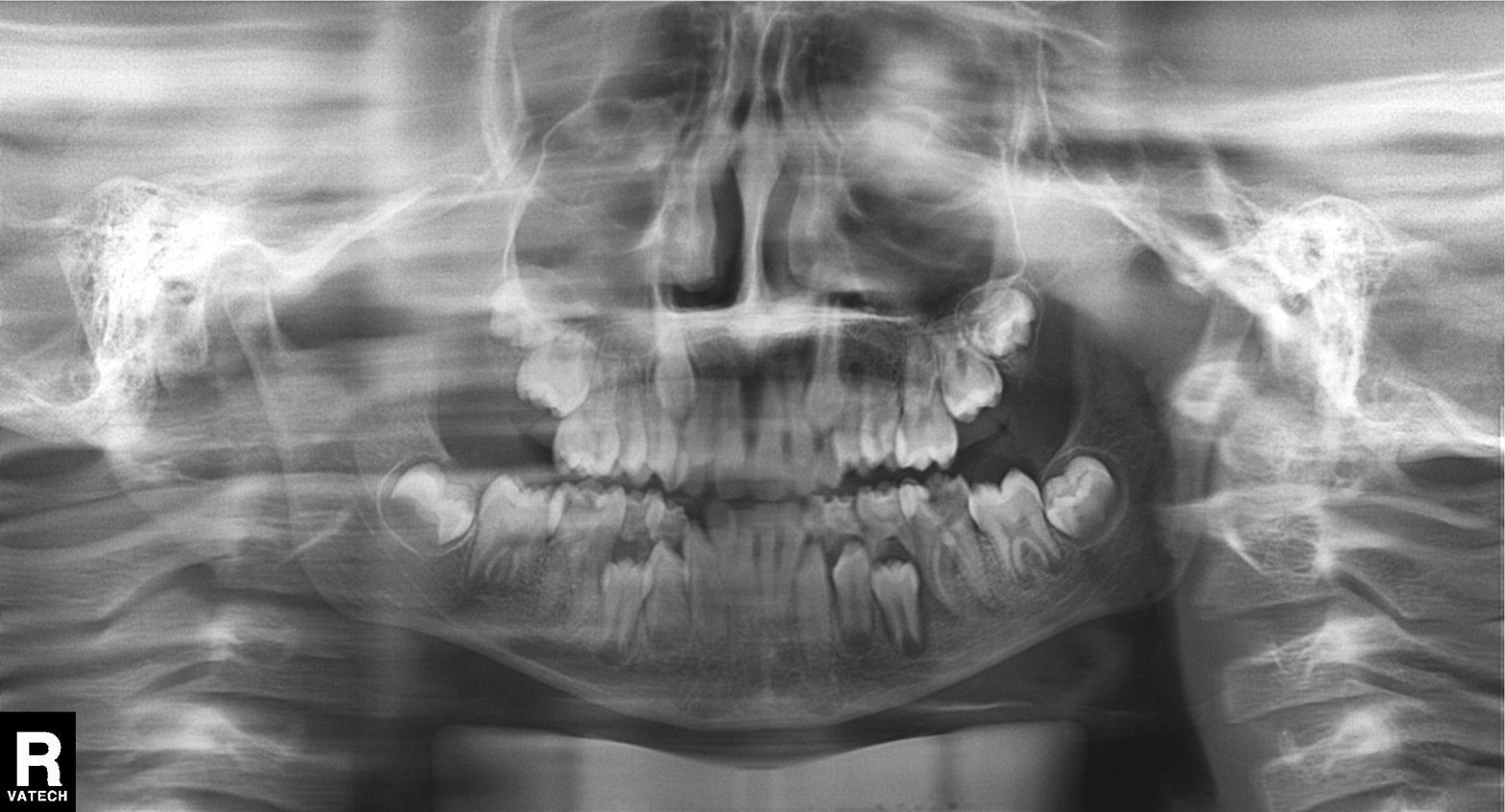
Case:
* modality · panoramic dental radiograph (orthopantomogram)
* finding · alveolar bone loss